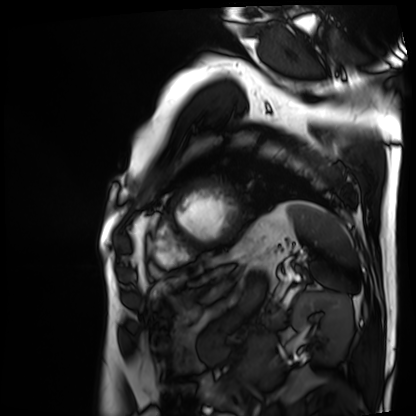
Cardiac MRI. Subject group: patient.